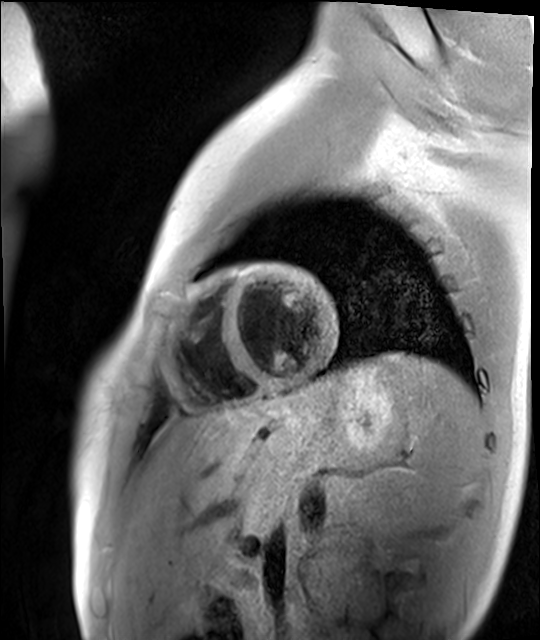
Summary:
Cardiac MR image of the myocardium. Subject cohort: healthy volunteer.